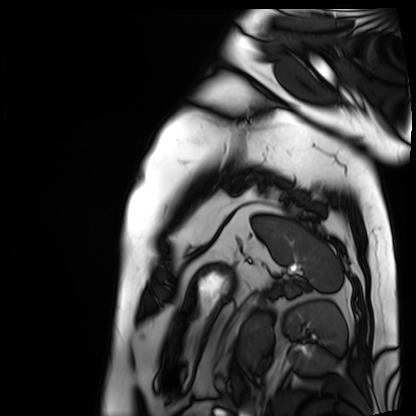
modality: cardiac MRI
cohort: patient